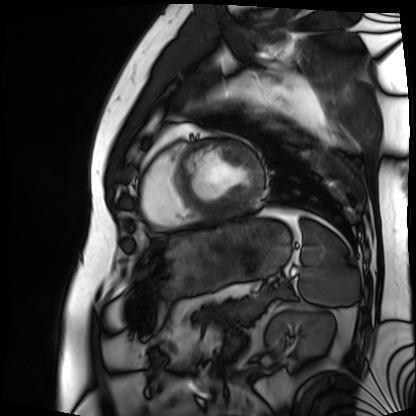
modality: cardiac MRI
subject group: patient